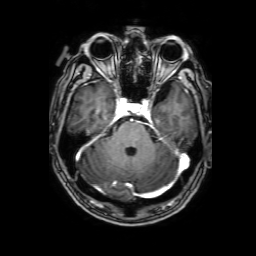
3 Tesla brain MRI. Series: 3D T1-weighted with SENSE. Study: ring-enhancing brain masses.